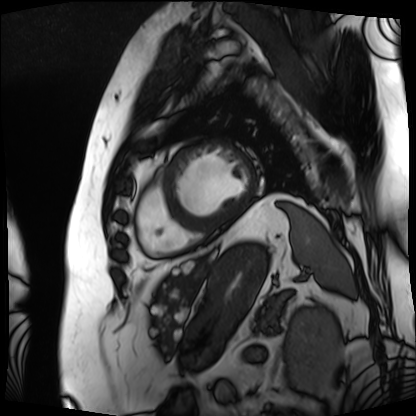
modality: cardiac MRI | subject group: patient.